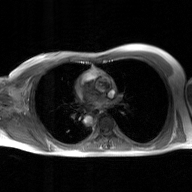
2D phase-contrast cine MRI of the ascending aorta, GAN super-resolution reconstruction.